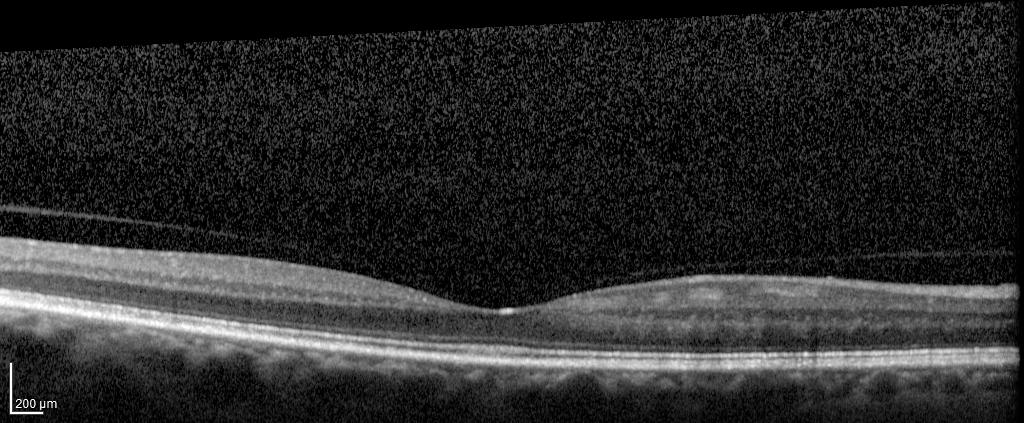
Spectral-domain optical coherence tomography (SD-OCT) of the macula. Subject: male, age 67, right eye. Cohort: diabetic subject. ETDRS-grid retinal thickness (μm): central 263, inner temporal 313, inner nasal 347, inner superior 340, inner inferior 332, outer temporal 282, outer nasal 312, outer superior 294, outer inferior 297.